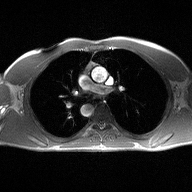
modality=2D phase-contrast cine MRI of the ascending aorta.